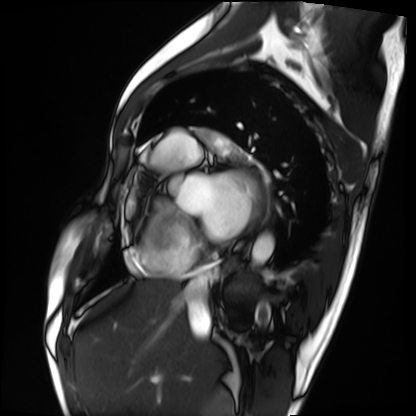
Case summary: Cardiac MRI. Subject group: patient.